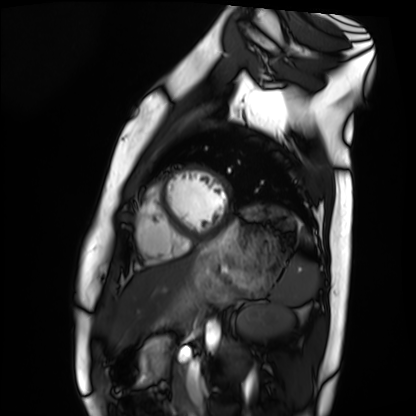
Cardiac MRI. Subject group: healthy volunteer.